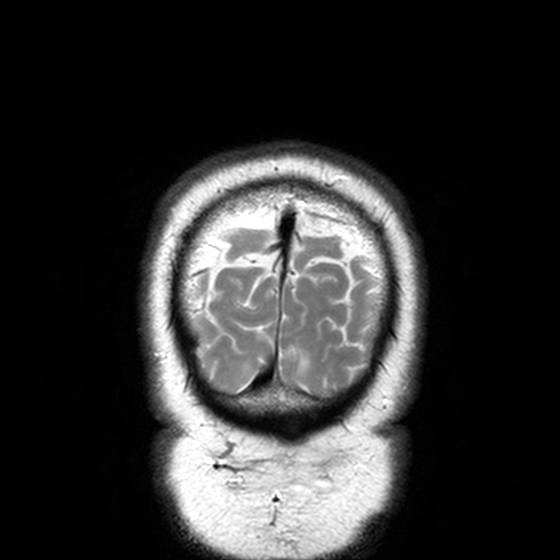
<record>
<modality>
  <type>brain MRI</type>
  <field_strength>3T</field_strength>
</modality>
<series>T2-weighted turbo spin echo, 3 mm</series>
<study_topic>ring-enhancing brain masses</study_topic>
</record>